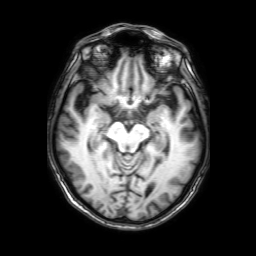
modality = 3 Tesla brain MRI; series = 3D T1-weighted with SENSE; study = ring-enhancing brain masses.